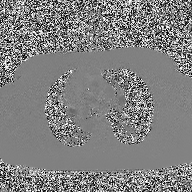
2D phase-contrast cine MRI of the ascending aorta, high-resolution GRAPPA acquisition.